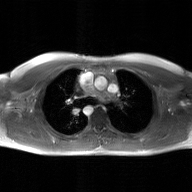
modality: 2D phase-contrast cine MRI of the ascending aorta, GAN super-resolution reconstruction.